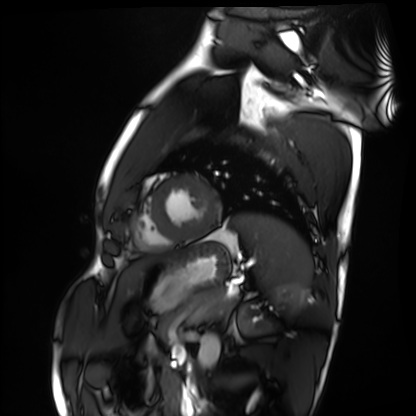
Q: What kind of scan is this?
A: Cardiac MRI.
Subject group: healthy volunteer.